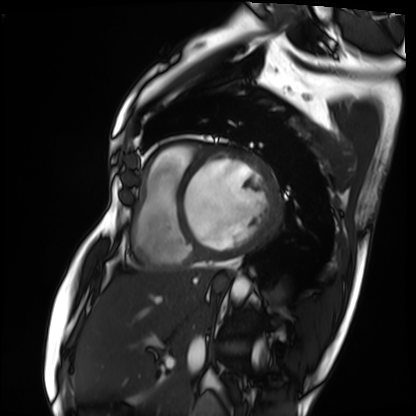
  modality: cardiac MRI
  cohort: patient